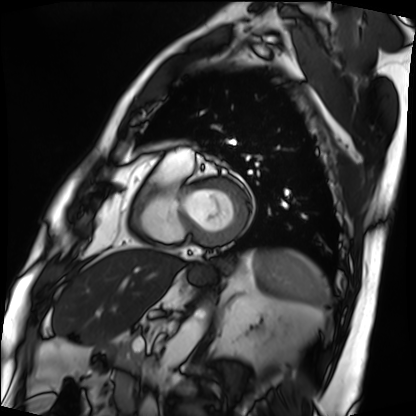
Cardiac MRI. Subject group: patient.